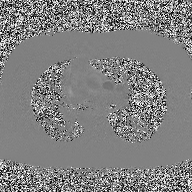
2D phase-contrast cine MRI of the ascending aorta, high-resolution GRAPPA acquisition.